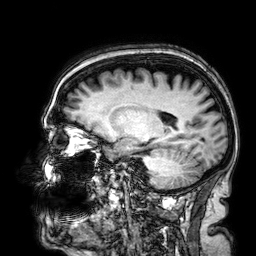
modality=3 Tesla brain MRI | series=3D T1-weighted | study=ring-enhancing brain masses.